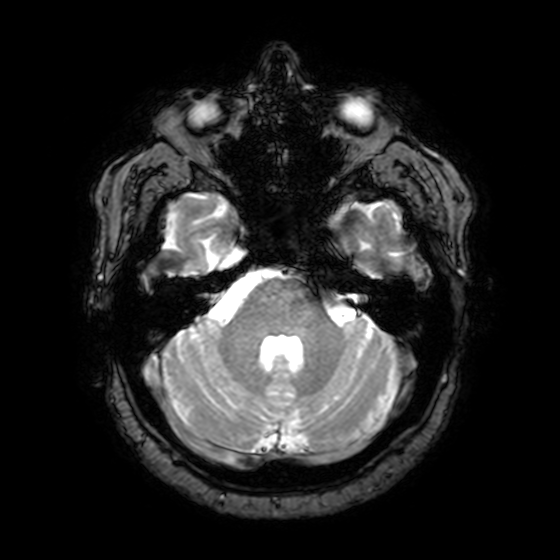
3 Tesla brain MRI. Study: ring-enhancing brain masses.